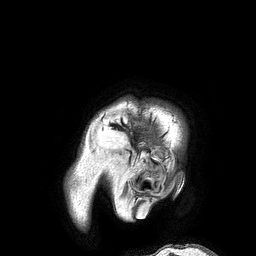
Case:
* modality · 3 Tesla brain MRI
* series · 3D T1-weighted turbo field echo
* study · ring-enhancing brain masses